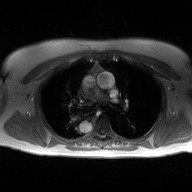
2D phase-contrast cine MRI of the ascending aorta, high-resolution GRAPPA acquisition.